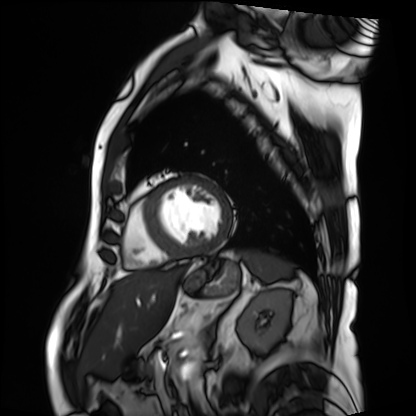
modality: cardiac MRI; subject group: patient.